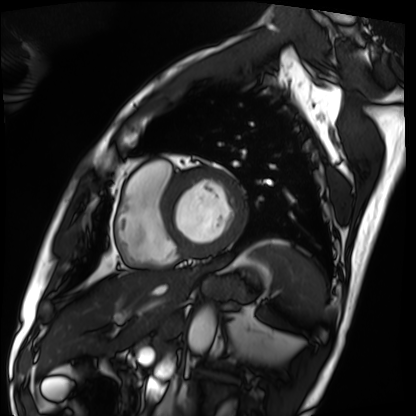
modality: cardiac MRI
subject group: patient